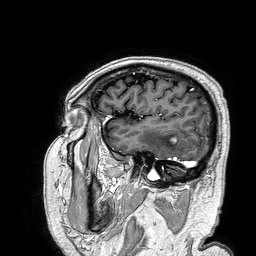
- modality — 3 Tesla brain MRI
- series — 3D T1-weighted turbo field echo
- study — ring-enhancing brain masses